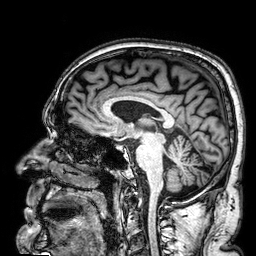
Clinical context: 3 Tesla brain MRI. Series: 3D T1-weighted. Study: ring-enhancing brain masses.